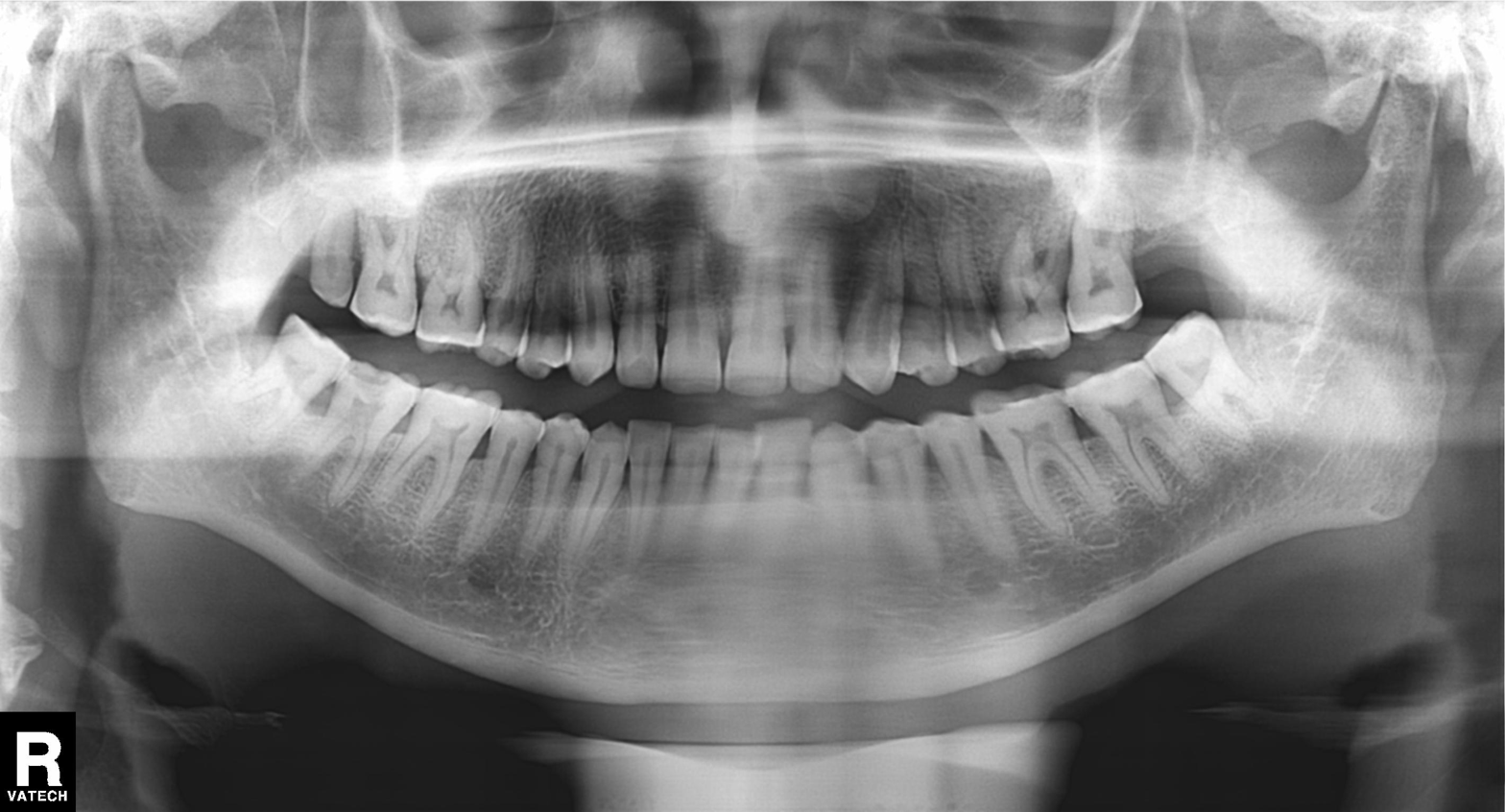
– modality: panoramic dental radiograph (orthopantomogram)
– finding: alveolar bone loss